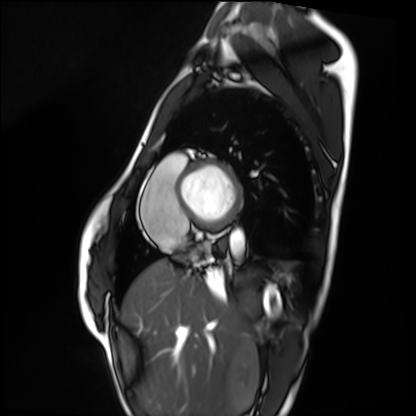
Q: What kind of scan is this?
A: Cardiac MRI.
Subject group: healthy volunteer.